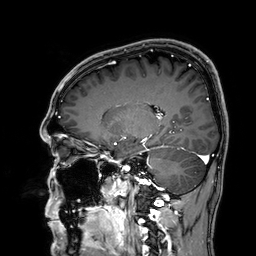
Case summary:
3 Tesla brain MRI. Series: 3D T1-weighted. Study: ring-enhancing brain masses.